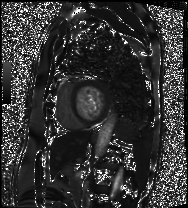
Cardiac MRI. Subject group: patient.